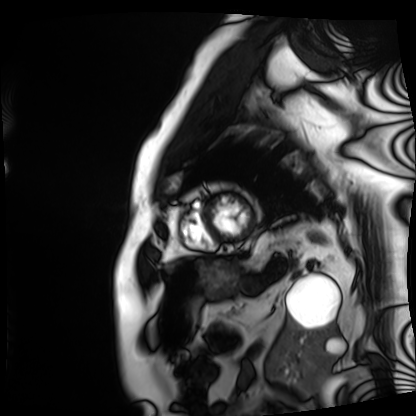
* modality: cardiac MRI
* subject group: patient